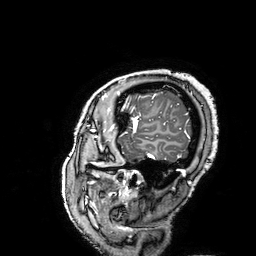
modality:
  type: brain MRI
  field_strength: 3T
series: 3D T1-weighted turbo field echo with SENSE
study_topic: ring-enhancing brain masses